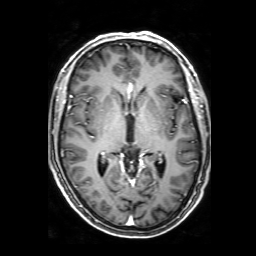
Case:
* modality: 3 Tesla brain MRI
* series: 3D T1-weighted with SENSE
* study: ring-enhancing brain masses